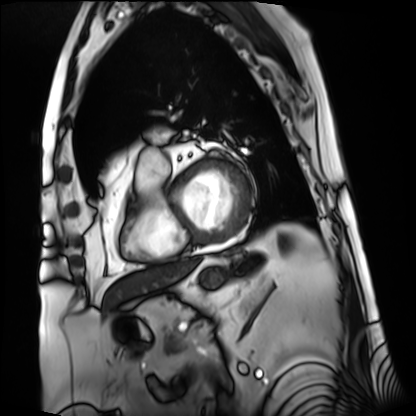
Cardiac MRI. Subject group: patient.